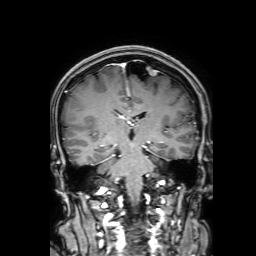
modality: 3 Tesla brain MRI | series: 3D T1-weighted with SENSE | study: ring-enhancing brain masses.